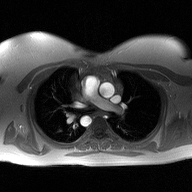
2D phase-contrast cine MRI of the ascending aorta, high-resolution GRAPPA acquisition.